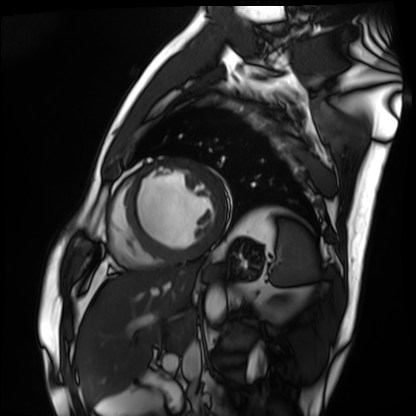
modality: cardiac MRI, subject group: patient.